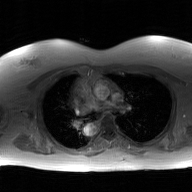
modality — 2D phase-contrast cine MRI of the ascending aorta, GAN super-resolution reconstruction.